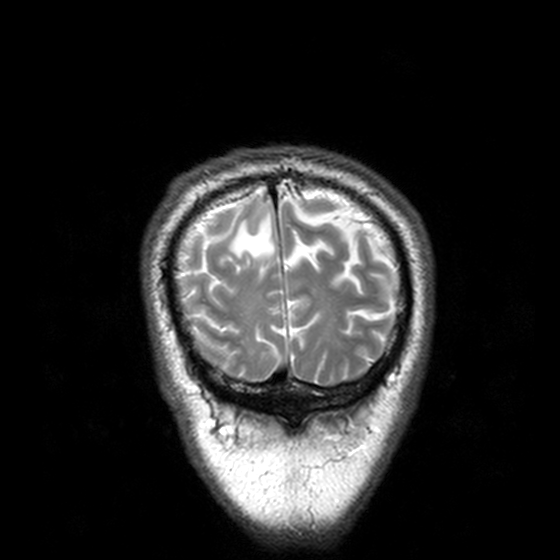
3 Tesla brain MRI. Study: ring-enhancing brain masses.